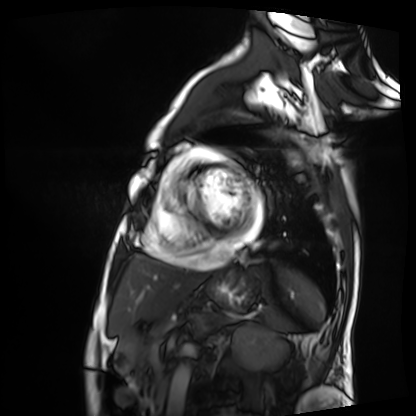
Cardiac MRI.
Subject group: patient.